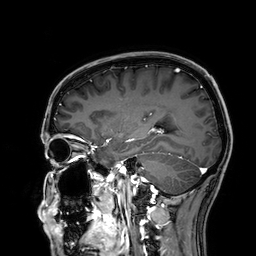
3 Tesla brain MRI.
Series: 3D T1-weighted.
Study: ring-enhancing brain masses.